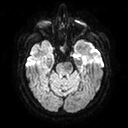
Clinical context:
3 Tesla brain MRI. Series: diffusion tensor imaging (medium iso). Study: ring-enhancing brain masses.